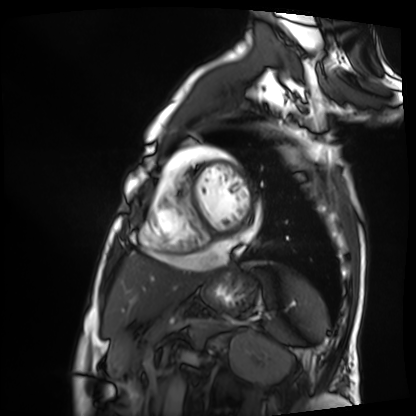
Cardiac MRI. Subject group: patient.